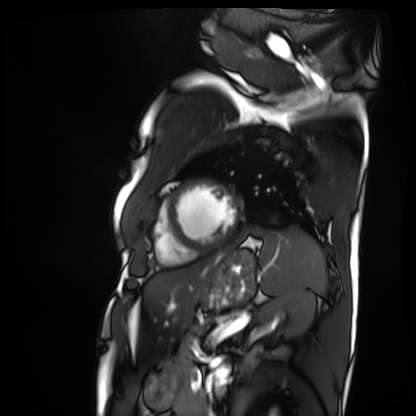
Summary: Cardiac MRI. Subject group: patient.